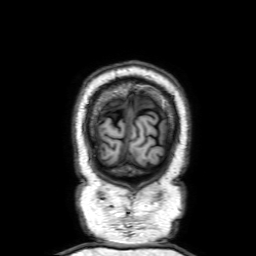
modality = 3 Tesla brain MRI
series = 3D T1-weighted with SENSE
study = ring-enhancing brain masses